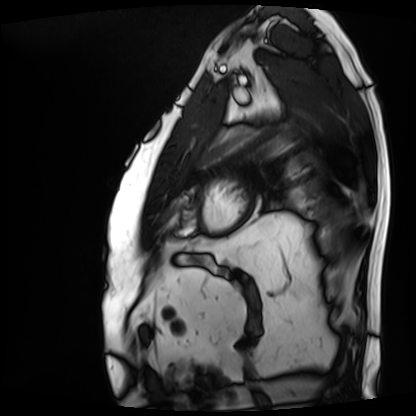
modality: cardiac MRI | subject group: patient.